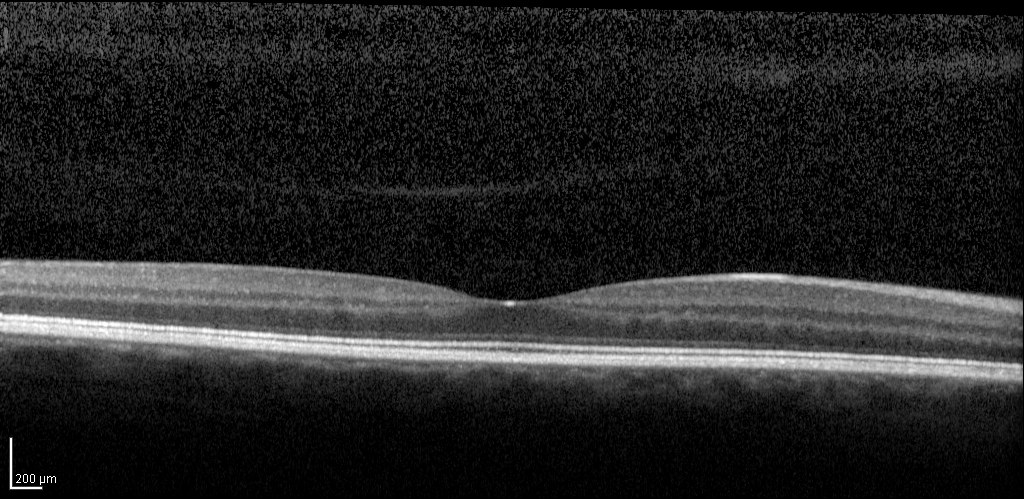
Q: What kind of scan is this?
A: Spectral-domain optical coherence tomography (SD-OCT) of the macula.
Q: Subject?
A: Female, age 42, right eye.
Cohort: diabetic subject.
Q: ETDRS-grid retinal thickness (μm)?
A: Central 270, inner temporal 323, inner nasal 345, inner superior 345, inner inferior 335, outer temporal 302, outer nasal 337, outer superior 328, outer inferior 326.